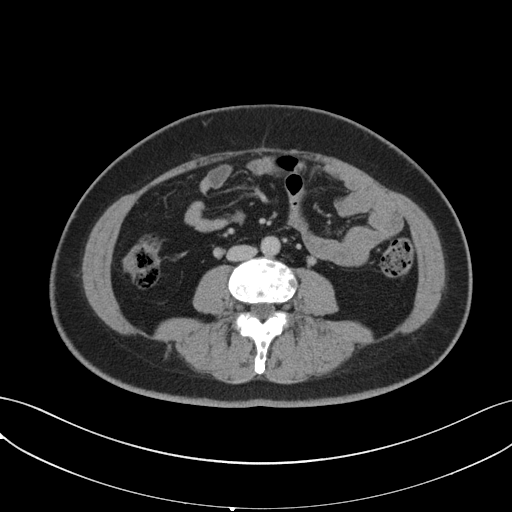
modality = multiphase abdominal CT, liver, portal venous phase | patient = female, age 43.